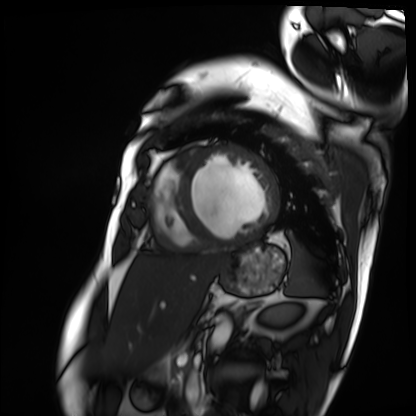
modality=cardiac MRI | subject group=patient.